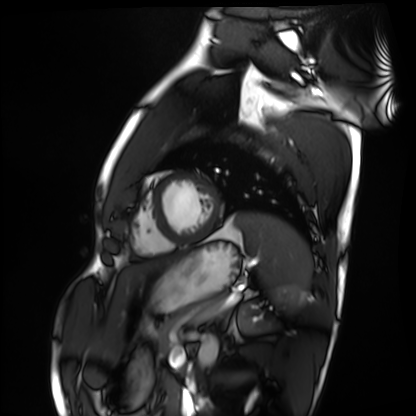
Cardiac MRI.
Subject group: healthy volunteer.